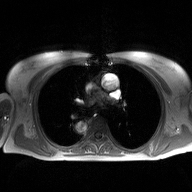
Case summary:
2D phase-contrast cine MRI of the ascending aorta, high-resolution GRAPPA acquisition.